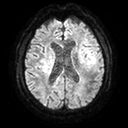
modality:
  type: brain MRI
  field_strength: 3T
series: diffusion tensor imaging (medium iso)
study_topic: ring-enhancing brain masses